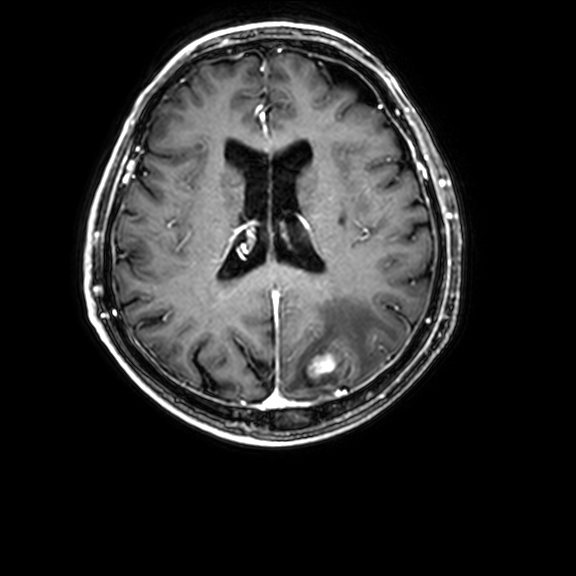
Case summary: 3 Tesla brain MRI. Series: 3D T1-weighted with CLEAR. Study: ring-enhancing brain masses.